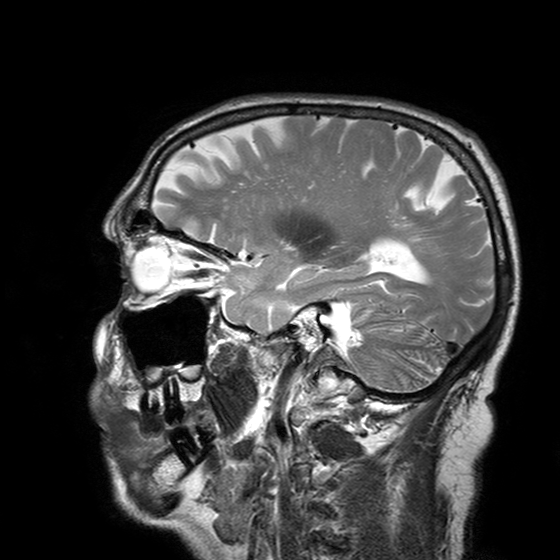
<study>
<modality>
  <type>brain MRI</type>
  <field_strength>3T</field_strength>
</modality>
<series>T2-weighted turbo spin echo with SENSE</series>
<study_topic>ring-enhancing brain masses</study_topic>
</study>